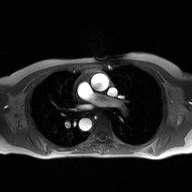
* modality: 2D phase-contrast cine MRI of the ascending aorta